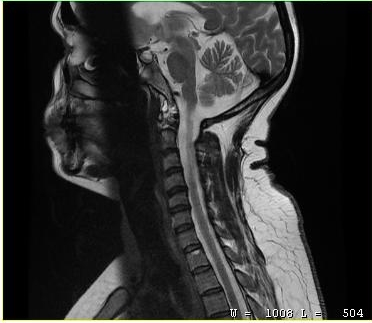
MRI of the cervical spine.
Study: cervical spondylosis.